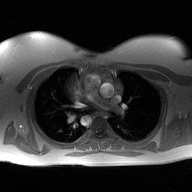
2D phase-contrast cine MRI of the ascending aorta, high-resolution GRAPPA acquisition.